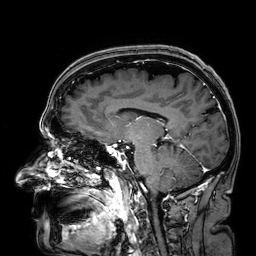
– modality — 3 Tesla brain MRI
– series — 3D T1-weighted
– study — ring-enhancing brain masses